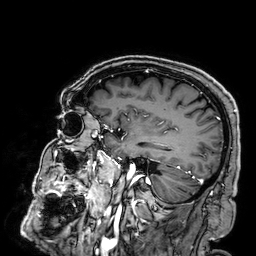
modality — 3 Tesla brain MRI; series — 3D T1-weighted; study — ring-enhancing brain masses.